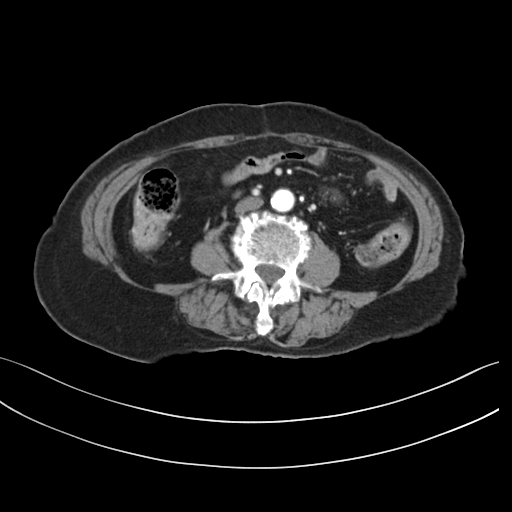
Multiphase abdominal CT, liver, arterial phase. Patient: female, age 73.